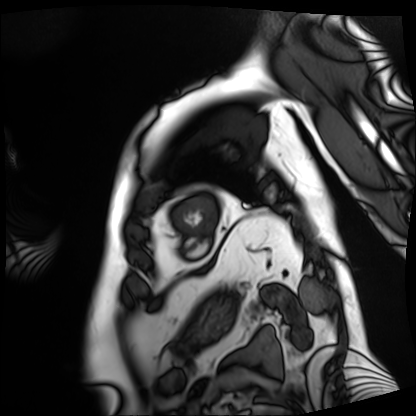
Cardiac MRI. Subject group: patient.